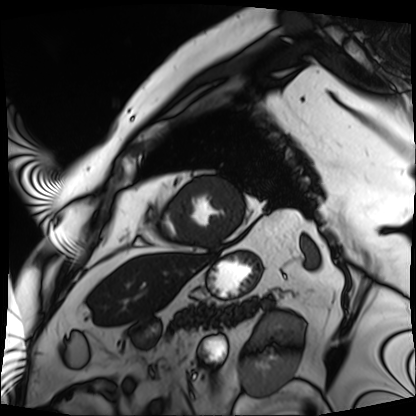
{"modality": "cardiac MRI", "cohort": "patient"}